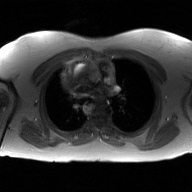
{"modality": {"type": "2D phase-contrast cine MRI", "region": "ascending aorta", "reconstruction": "GAN super-resolution reconstruction"}}